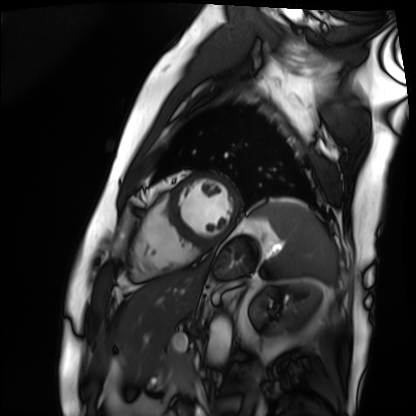
<case>
  <modality>cardiac MRI</modality>
  <cohort>patient</cohort>
</case>